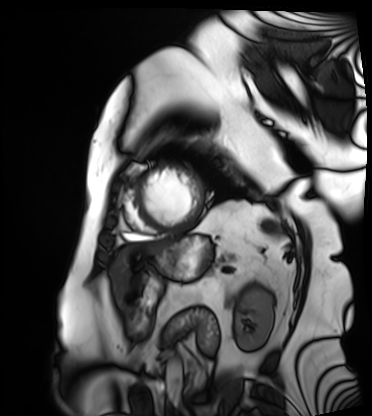
* modality · cardiac MRI
* subject group · patient